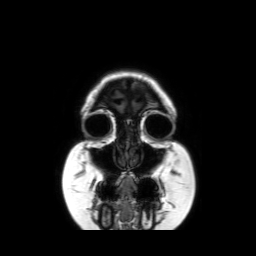
| field | value |
|---|---|
| modality | 3 Tesla brain MRI |
| series | coronal without contrast |
| study | ring-enhancing brain masses |